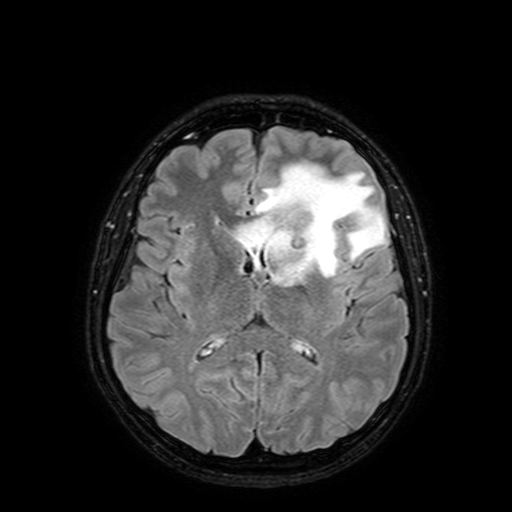
modality = 3 Tesla brain MRI | series = FLAIR with SPAIR, 3 mm | study = ring-enhancing brain masses.